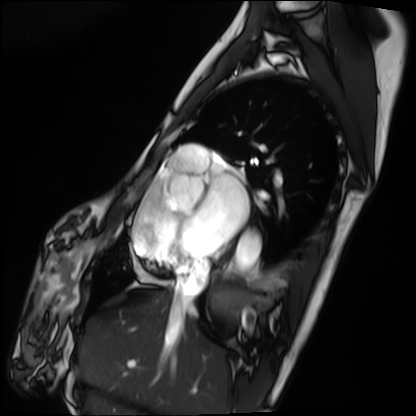
Cardiac MRI. Subject group: patient.